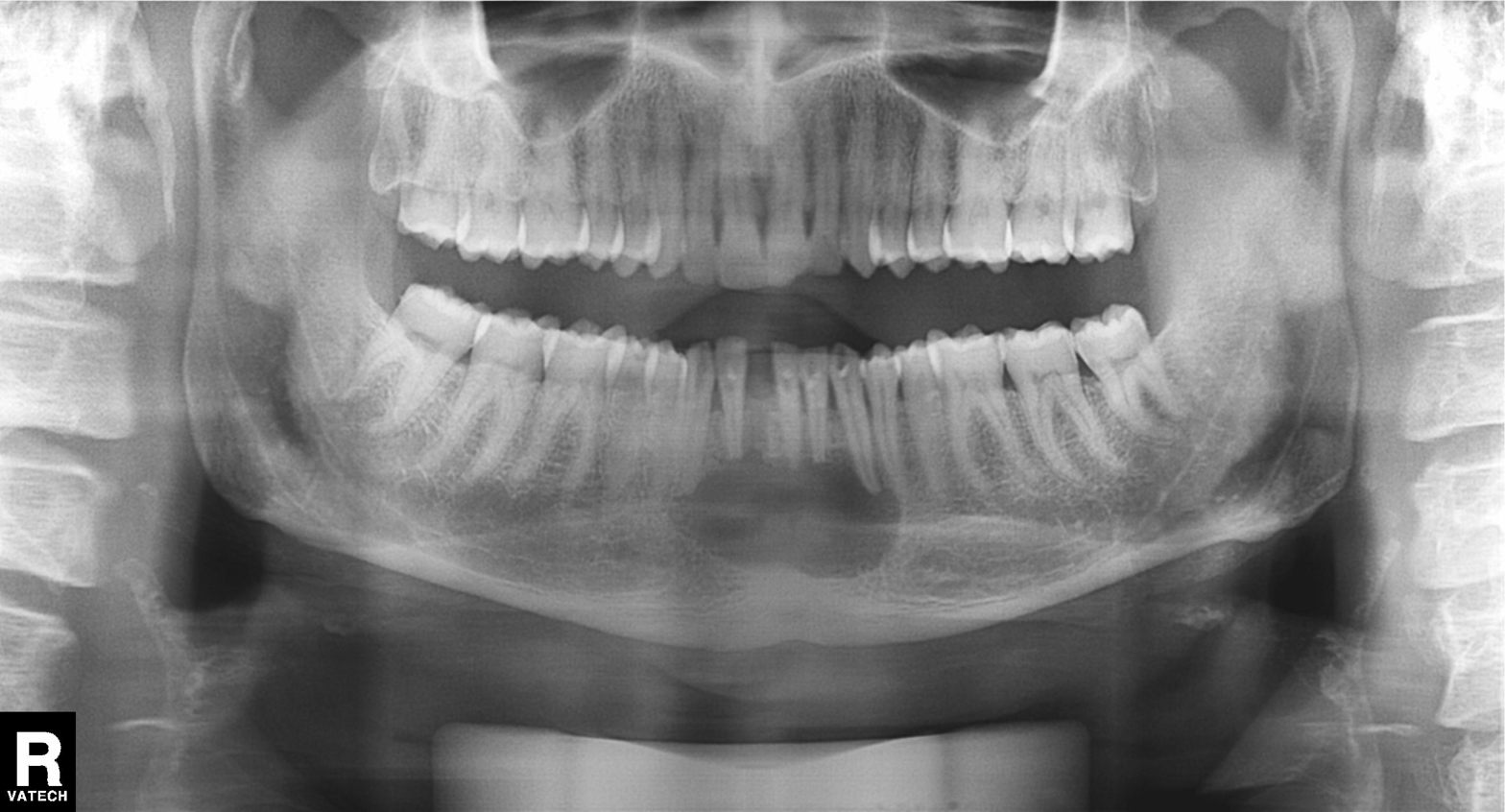
Panoramic dental radiograph (orthopantomogram). Finding: tooth impaction.